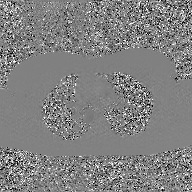
Clinical context:
2D phase-contrast cine MRI of the ascending aorta, GAN super-resolution reconstruction.